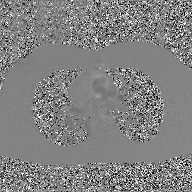
| field | value |
|---|---|
| modality | 2D phase-contrast cine MRI of the ascending aorta, GAN super-resolution reconstruction |